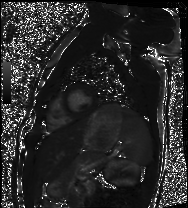
– modality: cardiac MRI
– subject group: healthy volunteer